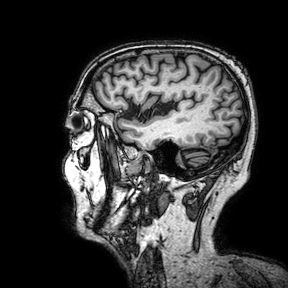
3 Tesla brain MRI. Series: 3D T1-weighted turbo field echo with SENSE. Study: ring-enhancing brain masses.